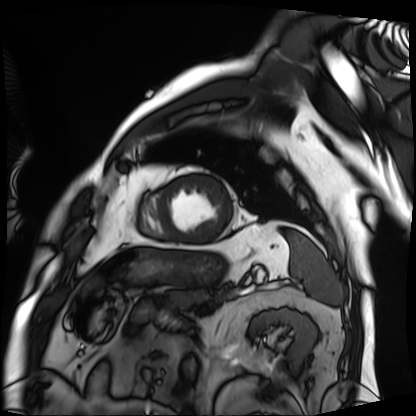
| field | value |
|---|---|
| modality | cardiac MRI |
| subject group | patient |